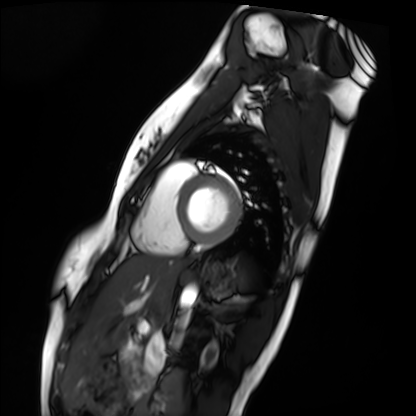
Cardiac MRI. Subject group: healthy volunteer.